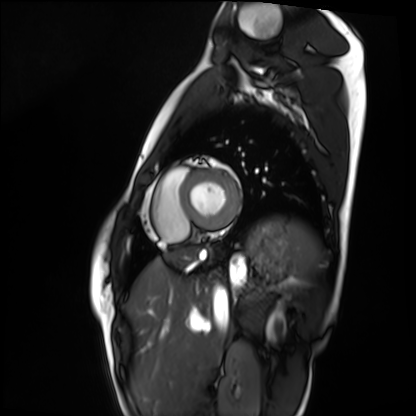
modality: cardiac MRI, subject group: healthy volunteer.